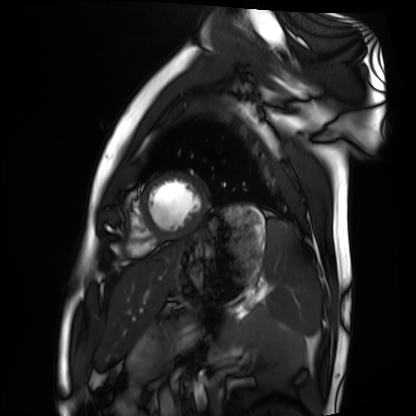
Summary:
Cardiac MRI. Subject group: healthy volunteer.